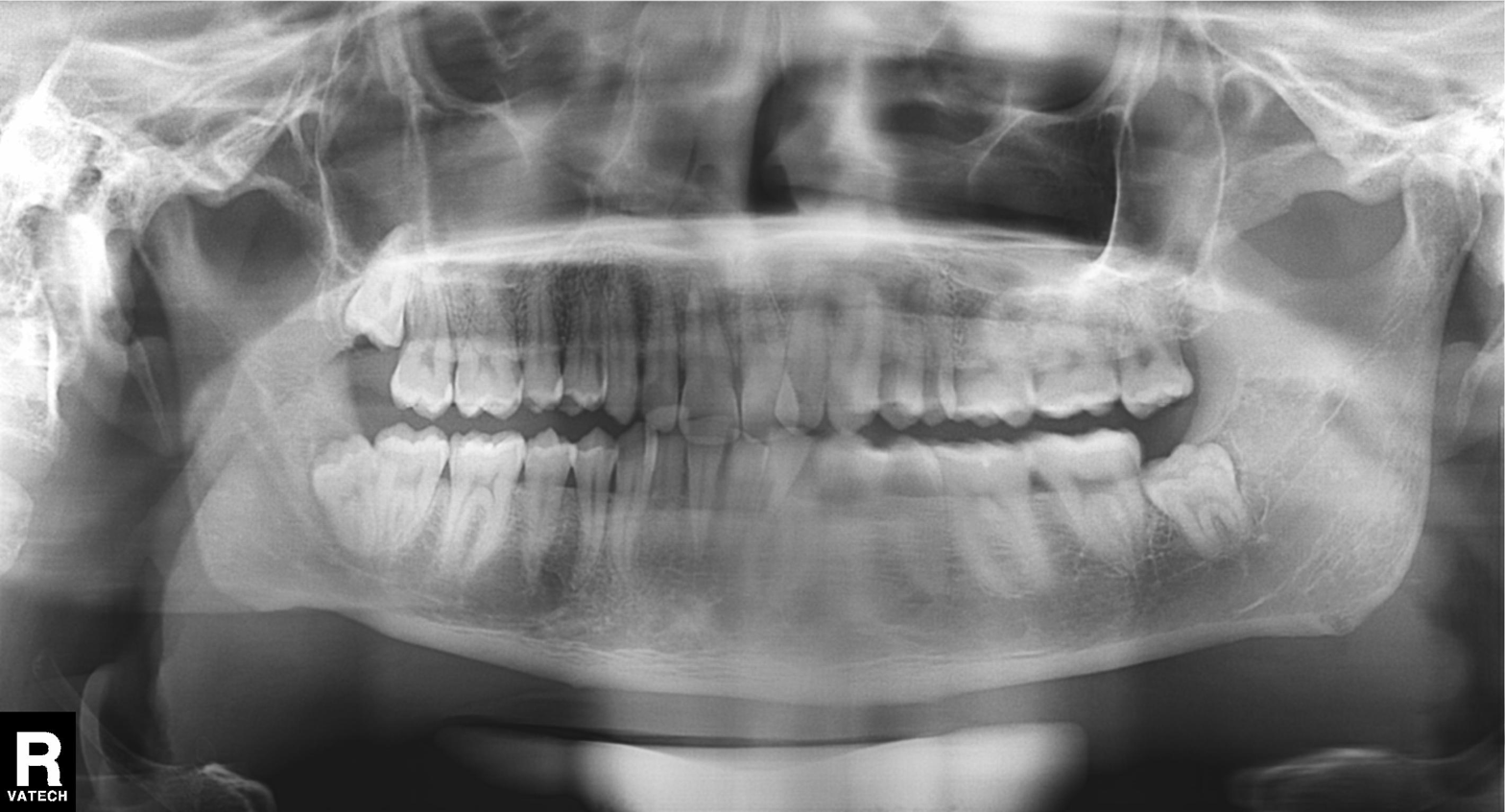
{
  "modality": "panoramic dental radiograph (orthopantomogram)",
  "finding": "tooth impaction"
}